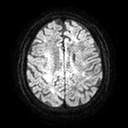
3 Tesla brain MRI.
Series: diffusion tensor imaging (medium iso).
Study: ring-enhancing brain masses.